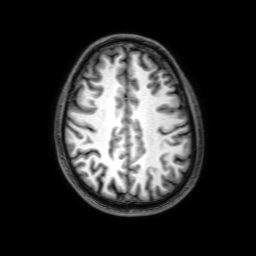
modality: 3 Tesla brain MRI | series: 3D T1-weighted with SENSE | study: ring-enhancing brain masses.